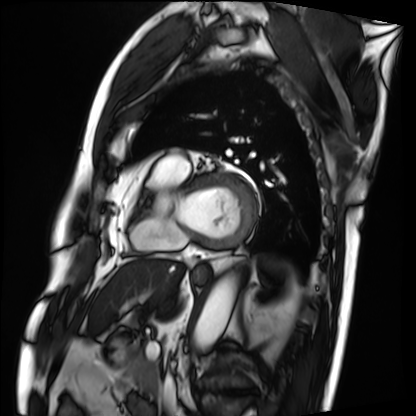
modality: cardiac MRI | subject group: patient.